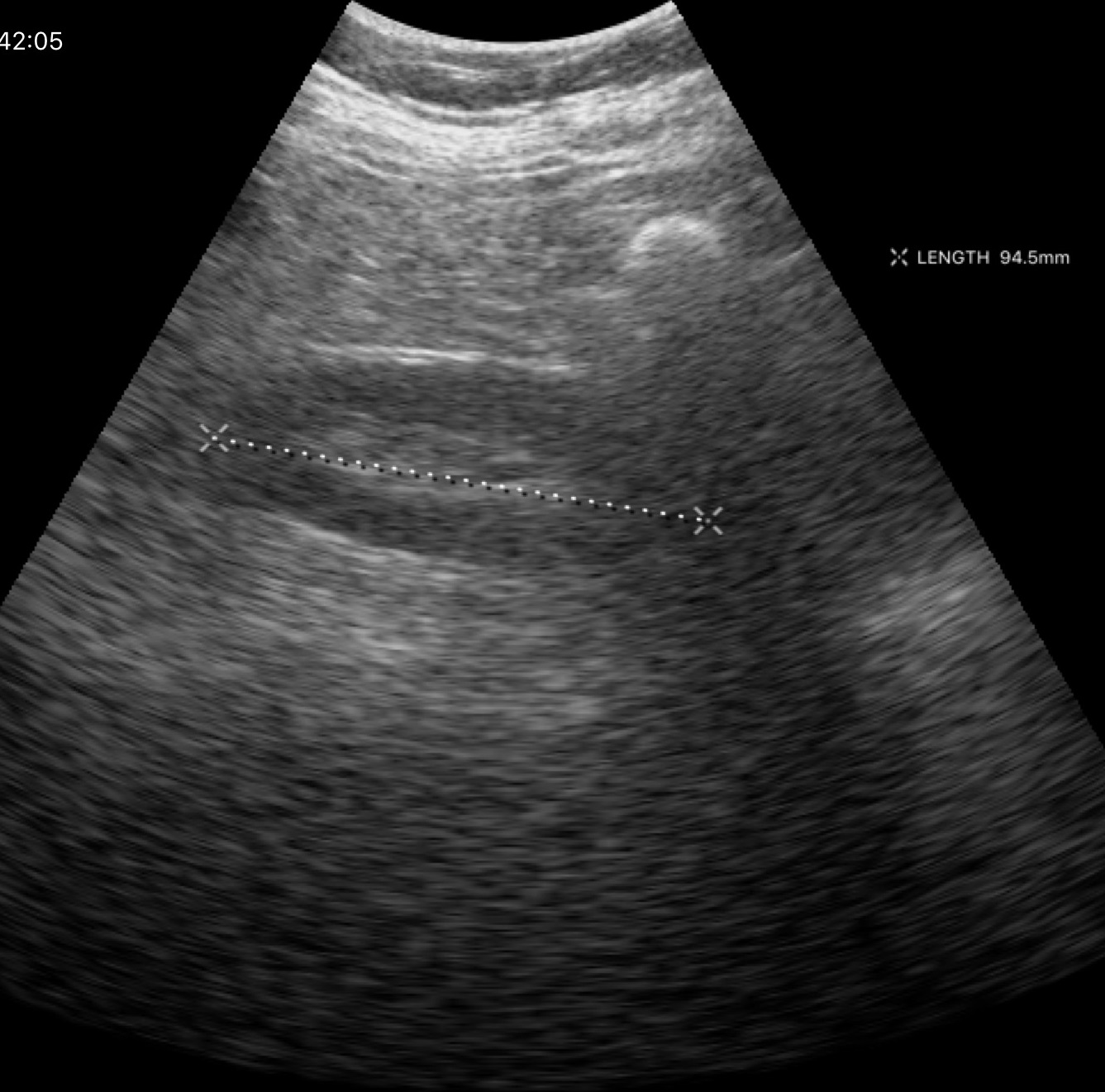
modality=genitourinary ultrasound